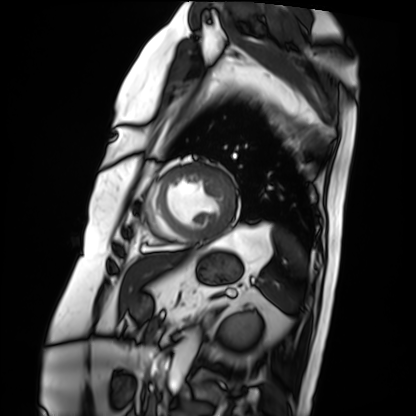
{"modality": "cardiac MRI", "cohort": "patient"}